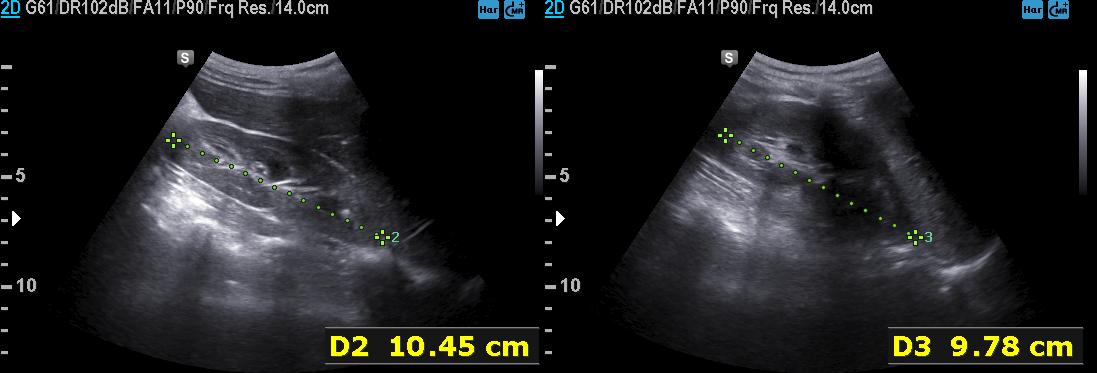
Summary:
Genitourinary ultrasound.